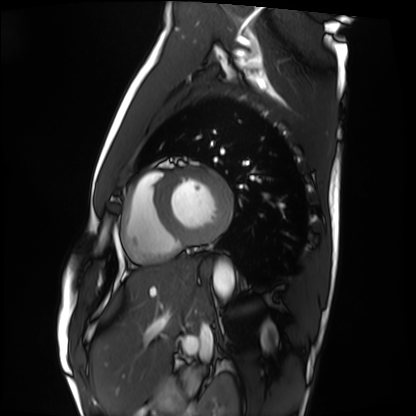
Clinical context: Cardiac MRI. Subject group: healthy volunteer.